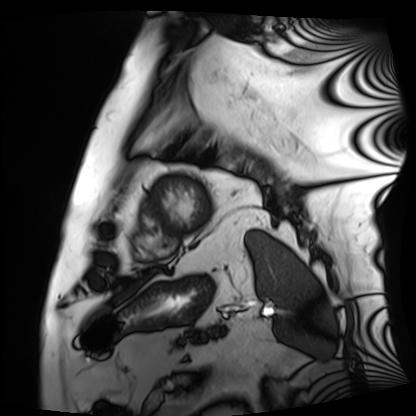
Cardiac MRI. Subject group: patient.